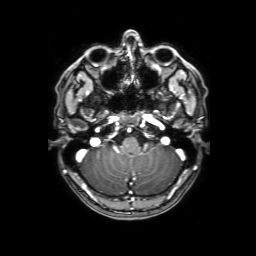
- modality — 3 Tesla brain MRI
- series — 3D T1-weighted with SENSE
- study — ring-enhancing brain masses